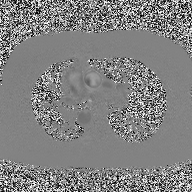
modality: 2D phase-contrast cine MRI of the ascending aorta.